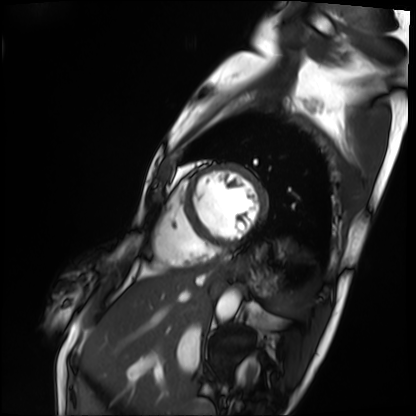
Cardiac MRI. Subject group: patient.